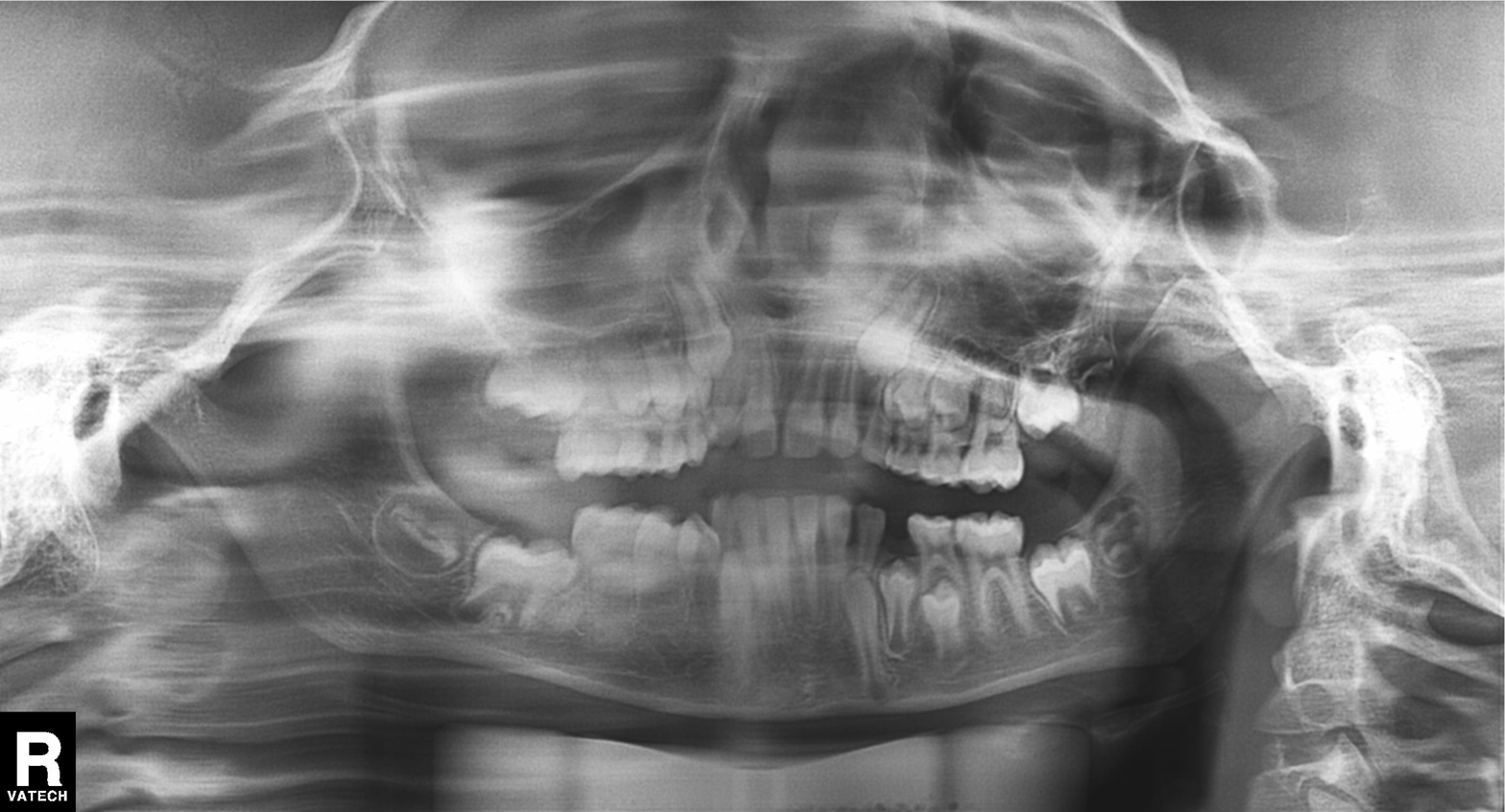
Panoramic dental radiograph (orthopantomogram).
Finding: alveolar bone loss.